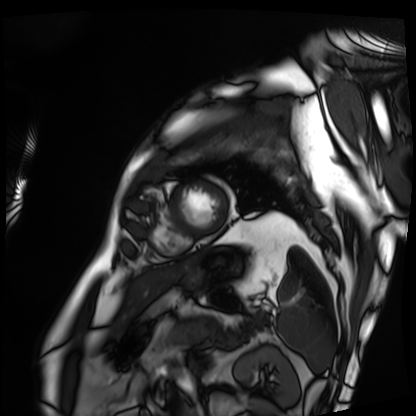
Cardiac MRI.
Subject group: patient.